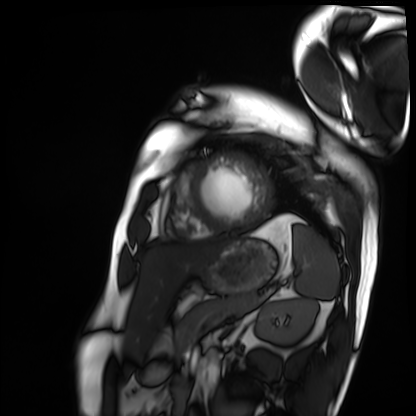
Cardiac MRI.
Subject group: patient.